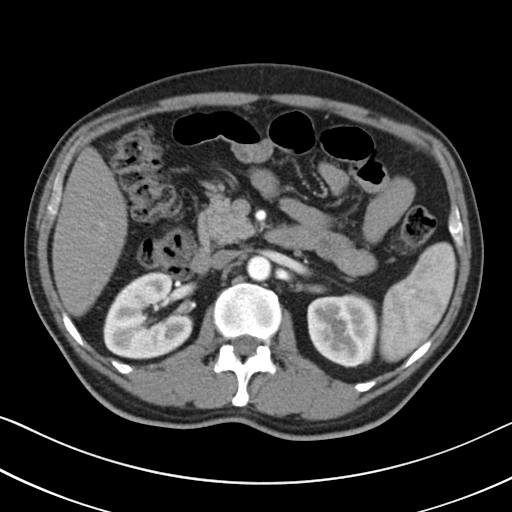
modality:
  type: multiphase abdominal CT
  region: liver
  phase: arterial
patient:
  sex: male
  age: 50
history:
  - viral hepatitis